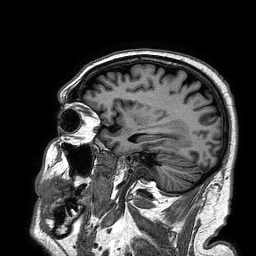
{
  "modality": {
    "type": "brain MRI",
    "field_strength": "3T"
  },
  "series": "3D T1-weighted turbo field echo",
  "study_topic": "ring-enhancing brain masses"
}